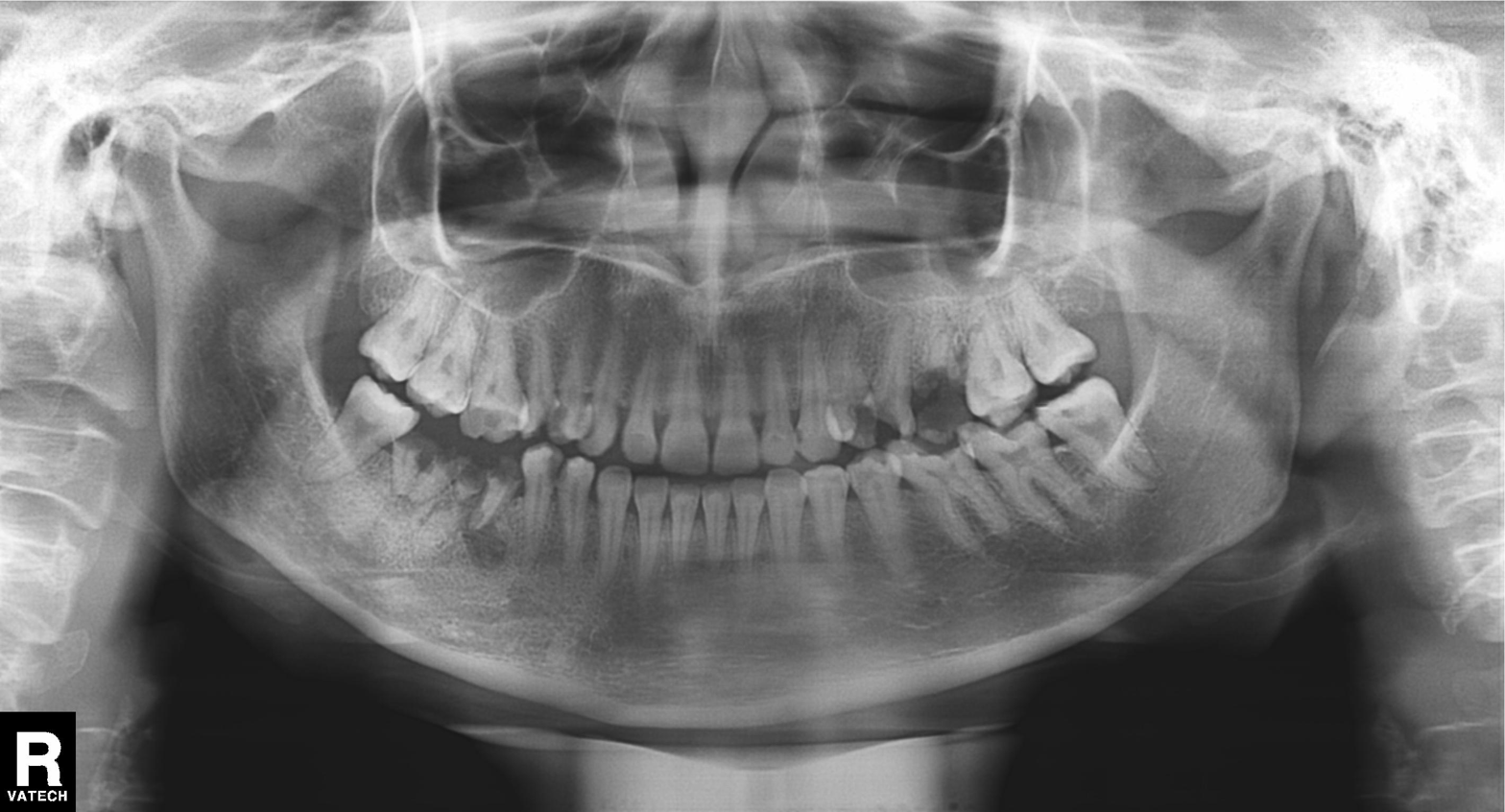
| feature | finding |
|---|---|
| modality | panoramic dental radiograph (orthopantomogram) |
| finding | tooth impaction |